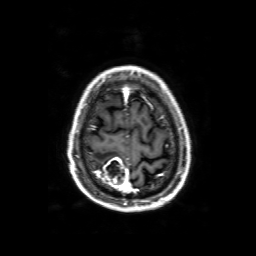
3 Tesla brain MRI. Series: 3D T1-weighted with SENSE. Study: ring-enhancing brain masses.